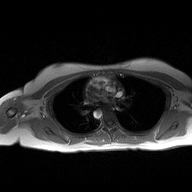
modality = 2D phase-contrast cine MRI of the ascending aorta